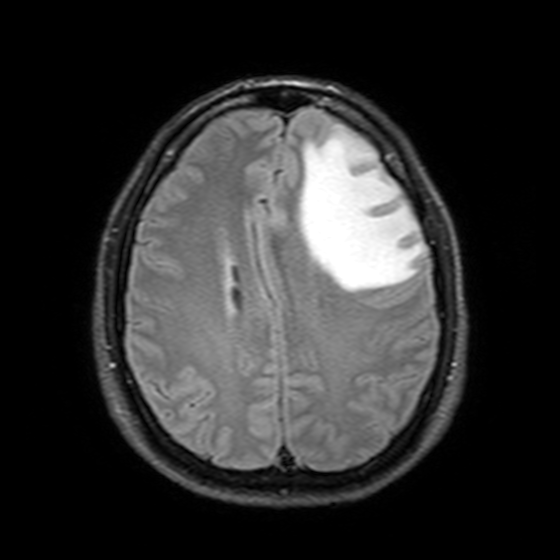
3 Tesla brain MRI.
Series: T2-weighted FLAIR.
Study: ring-enhancing brain masses.